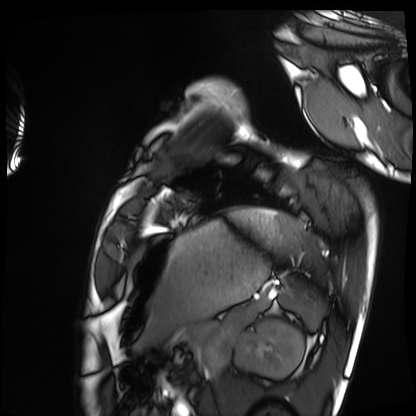
modality: cardiac MRI; subject group: healthy volunteer.